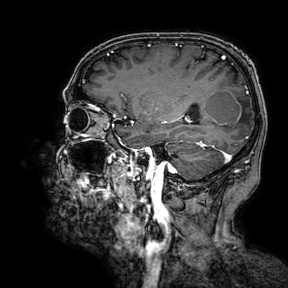
Case summary: 3 Tesla brain MRI. Series: 3D T1-weighted turbo field echo with SENSE. Study: ring-enhancing brain masses.